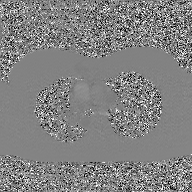
2D phase-contrast cine MRI of the ascending aorta, GAN super-resolution reconstruction.